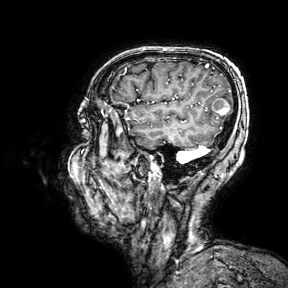
3 Tesla brain MRI. Series: 3D T1-weighted turbo field echo with SENSE. Study: ring-enhancing brain masses.